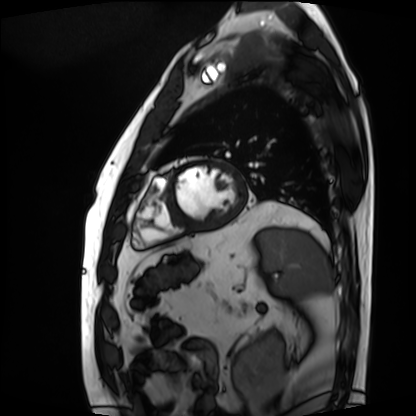
Summary: Cardiac MRI. Subject group: patient.